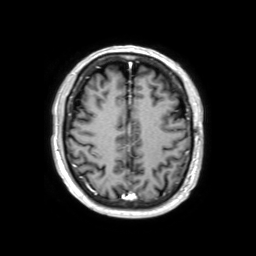
modality: 3 Tesla brain MRI | series: 3D T1-weighted TFE with SENSE | study: ring-enhancing brain masses.